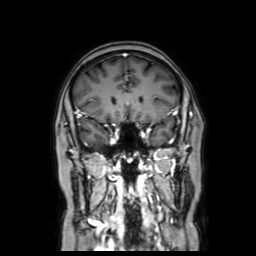
Summary:
3 Tesla brain MRI. Series: coronal with contrast. Study: ring-enhancing brain masses.